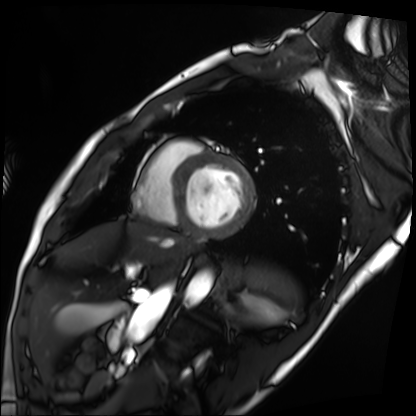
Q: What kind of scan is this?
A: Cardiac MRI.
Subject group: patient.